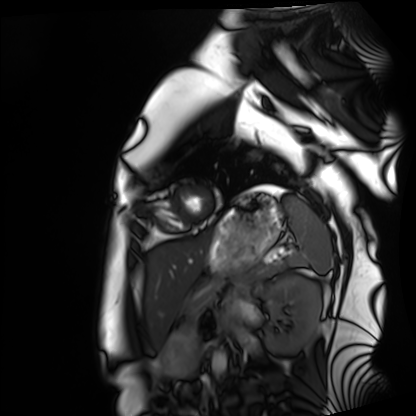
modality=cardiac MRI; subject group=healthy volunteer.